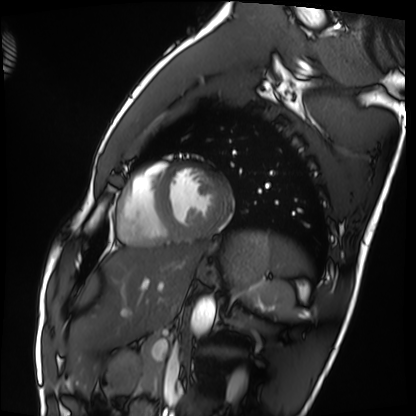
modality: cardiac MRI
cohort: healthy volunteer